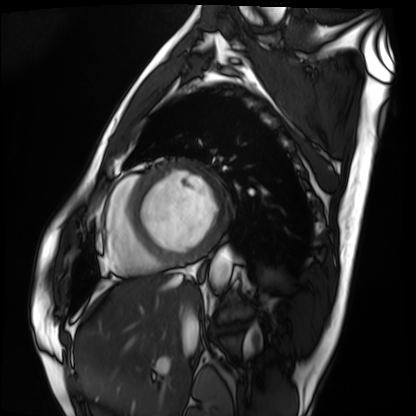
Cardiac MRI. Subject group: patient.